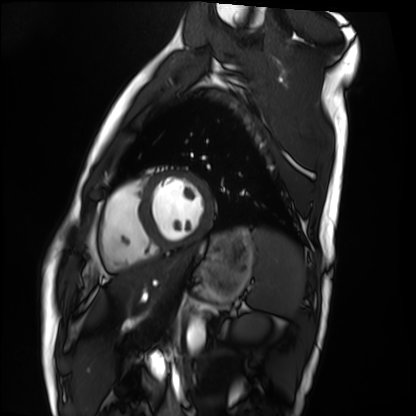
Cardiac MRI.
Subject group: healthy volunteer.